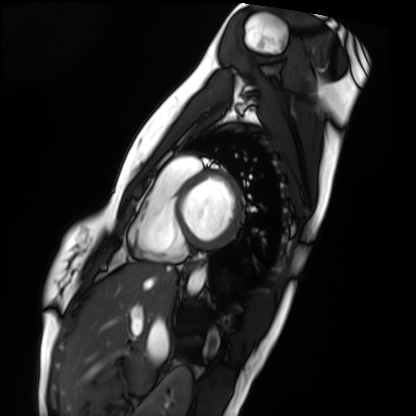
| field | value |
|---|---|
| modality | cardiac MRI |
| subject group | healthy volunteer |